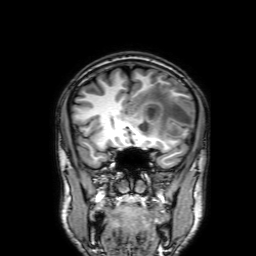
Q: What kind of scan is this?
A: 3 Tesla brain MRI.
Q: Series?
A: 3D T1-weighted with SENSE.
Study: ring-enhancing brain masses.